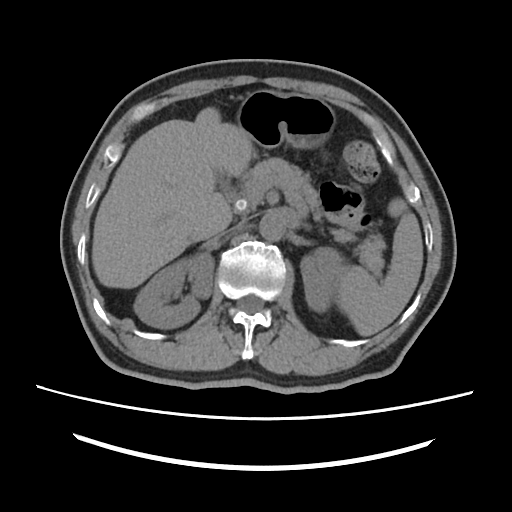
Multiphase abdominal CT, liver, non-contrast phase. Patient: male, age 67.